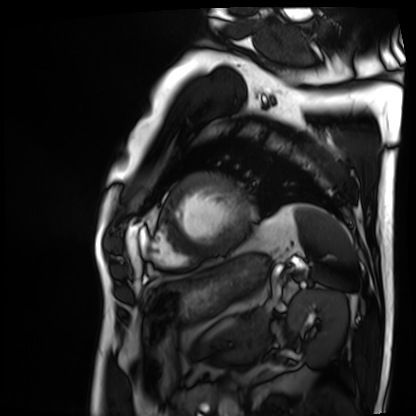
Q: What kind of scan is this?
A: Cardiac MRI.
Subject group: patient.